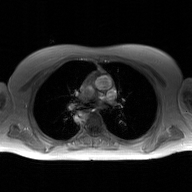
Clinical context: 2D phase-contrast cine MRI of the ascending aorta, GAN super-resolution reconstruction.